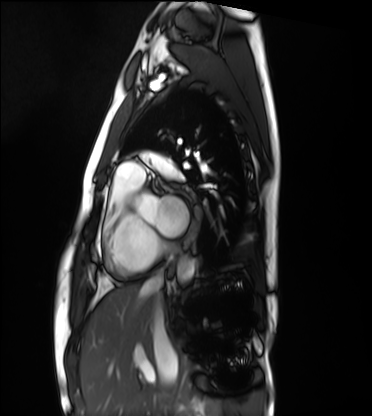
Cardiac MRI. Subject group: healthy volunteer.